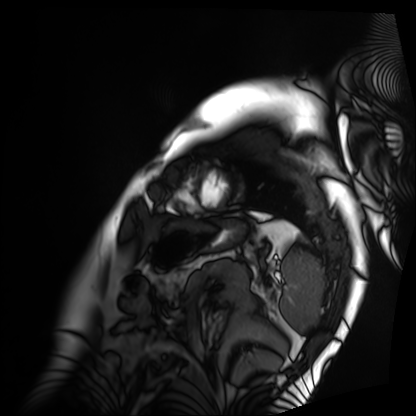
Cardiac MRI.
Subject group: patient.